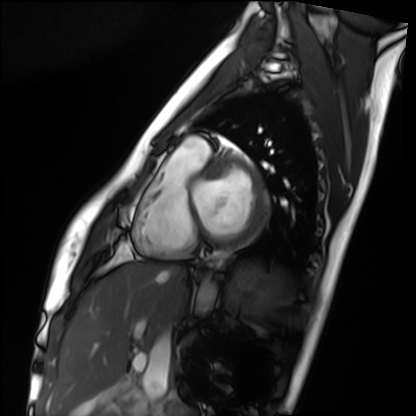
– modality · cardiac MRI
– subject group · healthy volunteer